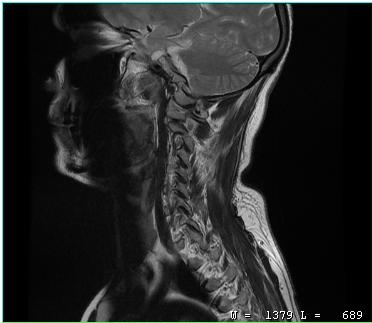
MRI of the cervical spine. Study: cervical spondylosis.